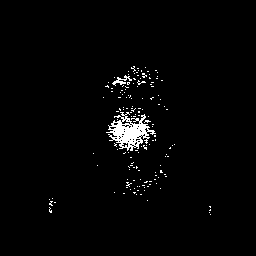
Q: What kind of scan is this?
A: 3 Tesla brain MRI.
Q: Series?
A: 3D T1-weighted with SENSE.
Study: ring-enhancing brain masses.